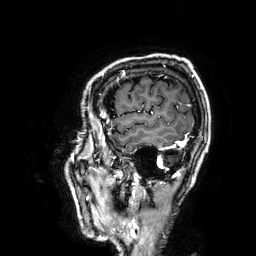
3 Tesla brain MRI. Series: 3D T1-weighted. Study: ring-enhancing brain masses.